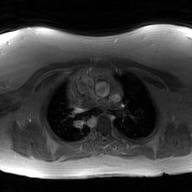
modality — 2D phase-contrast cine MRI of the ascending aorta, GAN super-resolution reconstruction.